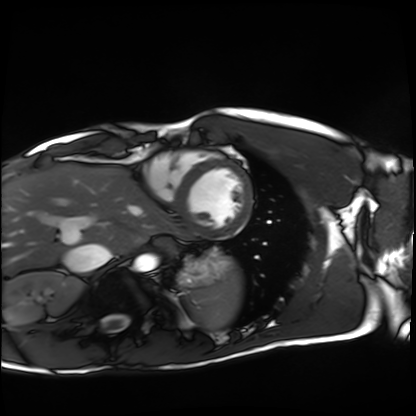
Q: What kind of scan is this?
A: Cardiac MRI.
Subject group: healthy volunteer.